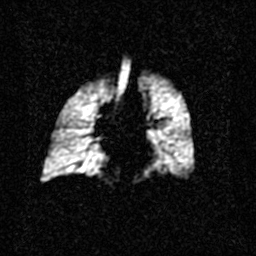
modality=hyperpolarized 129Xe ventilation MRI of the lungs
SNR level=2 of 8 (the deposit holds this scan as its native image and as seven SNR-degraded versions)